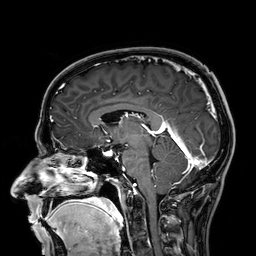
Summary: 3 Tesla brain MRI. Series: 3D T1-weighted. Study: ring-enhancing brain masses.